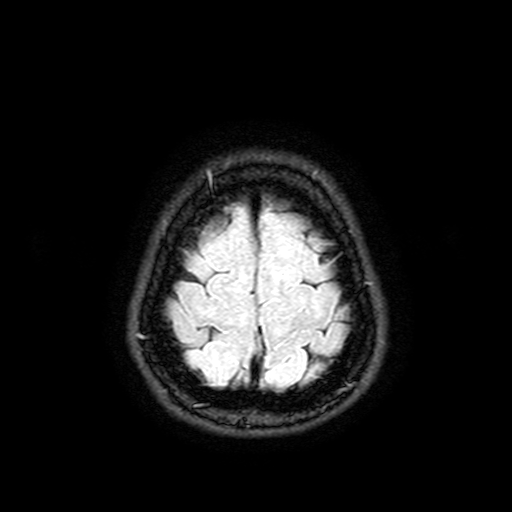
modality: 3 Tesla brain MRI; series: FLAIR with SPAIR, 3 mm; study: ring-enhancing brain masses.